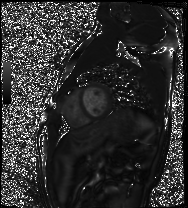
Q: What kind of scan is this?
A: Cardiac MRI.
Subject group: healthy volunteer.